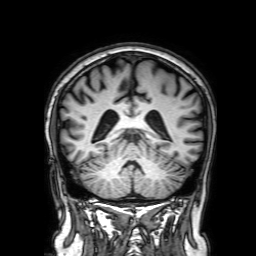
3 Tesla brain MRI. Series: 3D T1-weighted with SENSE. Study: ring-enhancing brain masses.